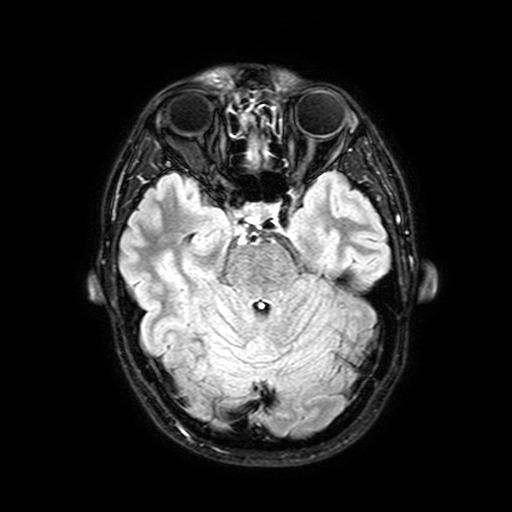
modality:
  type: brain MRI
  field_strength: 3T
series: FLAIR with SPAIR, 3 mm
study_topic: ring-enhancing brain masses